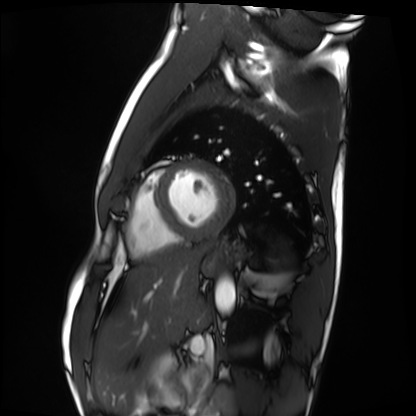
<record>
  <modality>cardiac MRI</modality>
  <cohort>healthy volunteer</cohort>
</record>